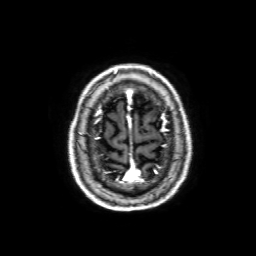
3 Tesla brain MRI.
Series: 3D T1-weighted with SENSE.
Study: ring-enhancing brain masses.